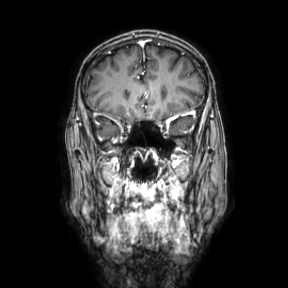
3 Tesla brain MRI. Series: coronal. Study: ring-enhancing brain masses.